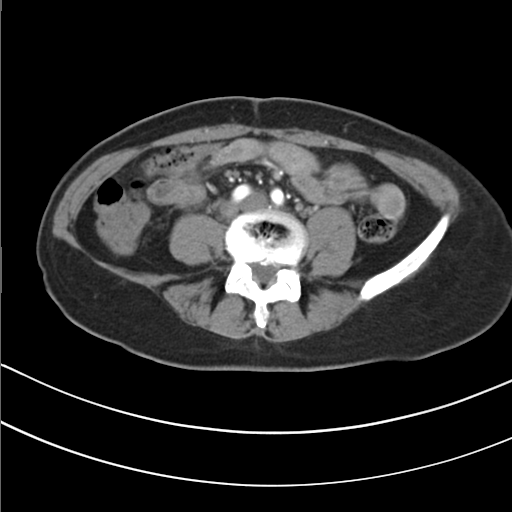
Summary:
Multiphase abdominal CT, liver, arterial phase. Patient: female, age 49. History: prior chemotherapy.